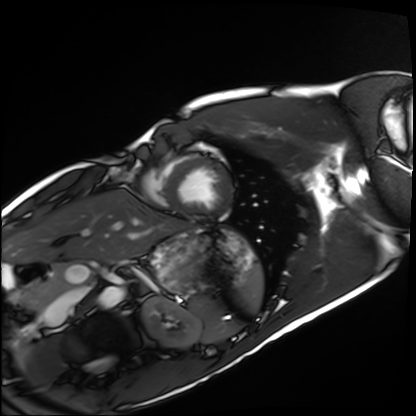
Case summary: Cardiac MRI. Subject group: healthy volunteer.